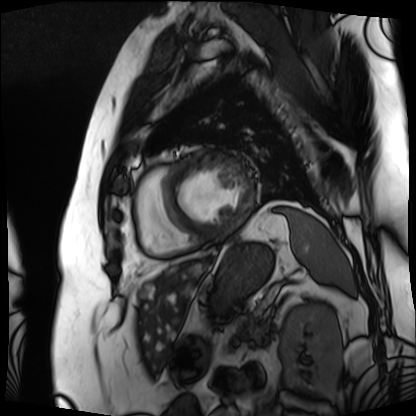
  modality: cardiac MRI
  cohort: patient